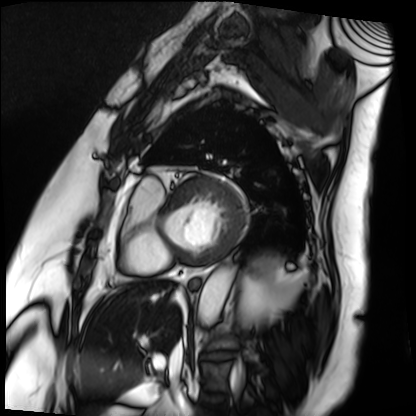
modality: cardiac MRI
subject group: patient